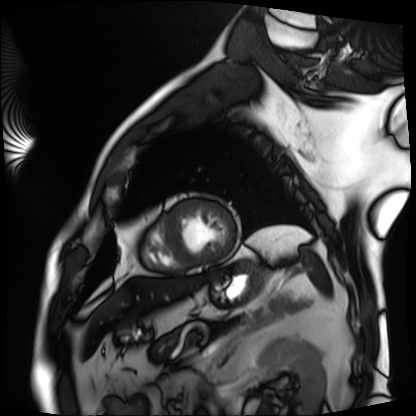
modality = cardiac MRI
subject group = patient